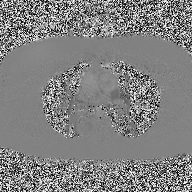
Case:
– modality: 2D phase-contrast cine MRI of the ascending aorta